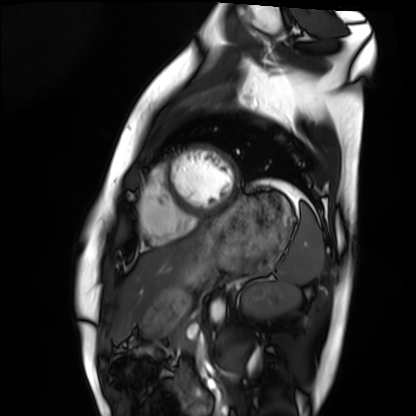
{
  "modality": "cardiac MRI",
  "cohort": "healthy volunteer"
}